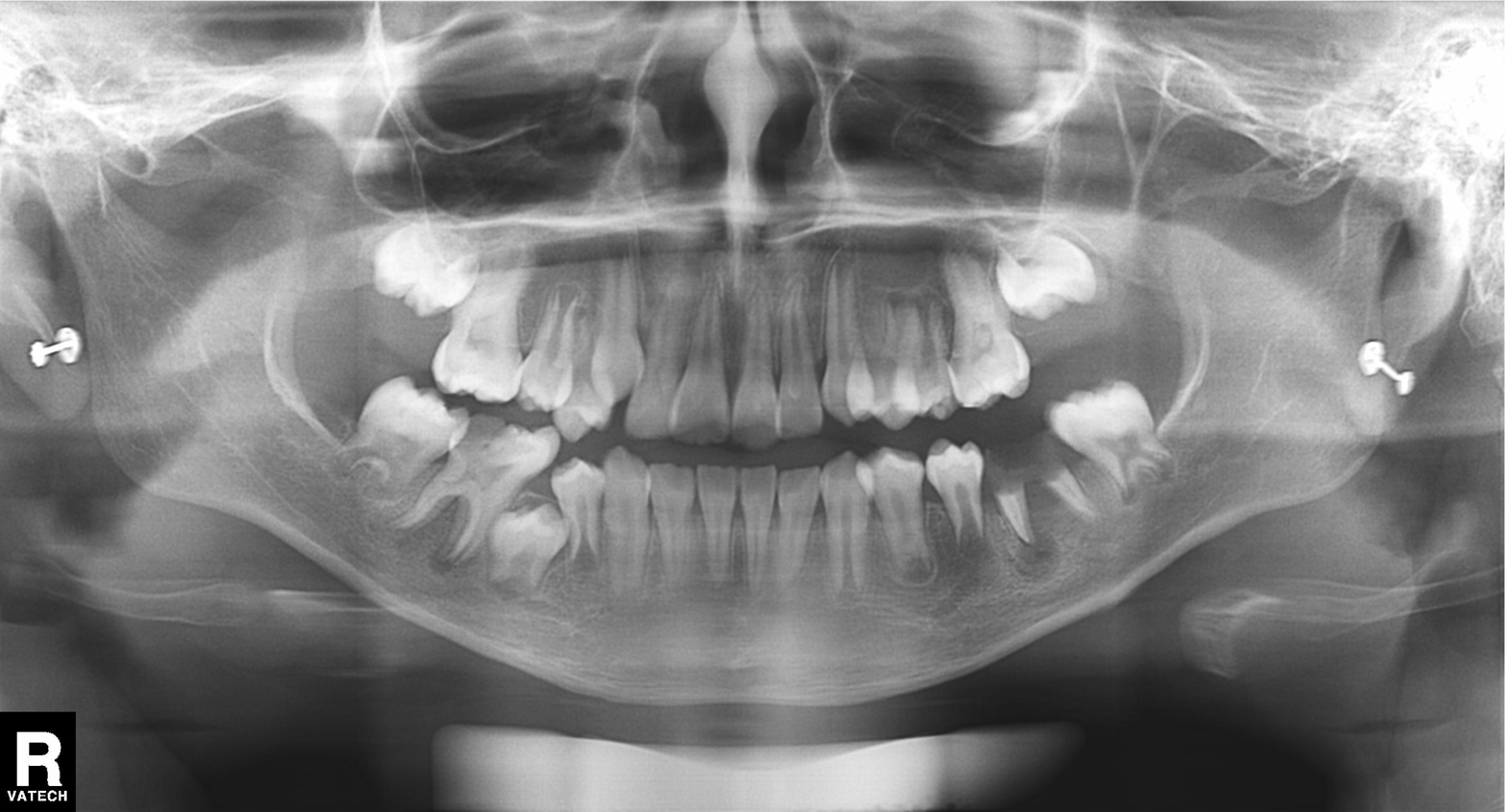
Summary: Panoramic dental radiograph (orthopantomogram).
Assessment: Tooth impaction.